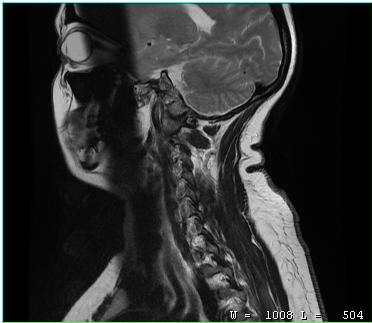
MRI of the cervical spine. Study: cervical spondylosis.